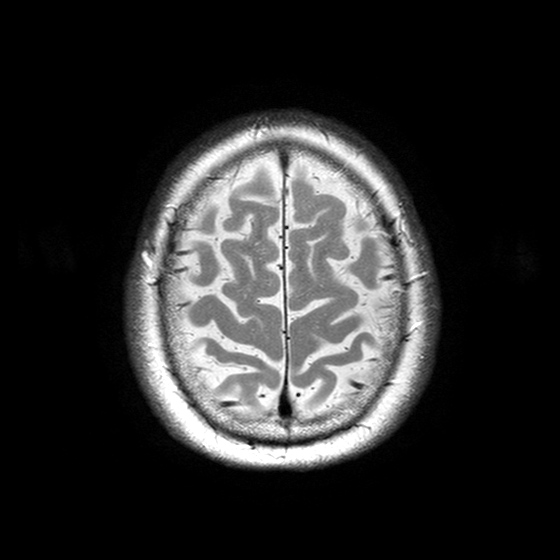
| field | value |
|---|---|
| modality | 3 Tesla brain MRI |
| study | ring-enhancing brain masses |